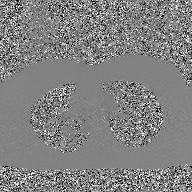
| field | value |
|---|---|
| modality | 2D phase-contrast cine MRI of the ascending aorta, GAN super-resolution reconstruction |